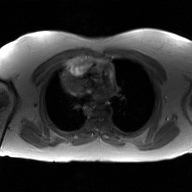
2D phase-contrast cine MRI of the ascending aorta, GAN super-resolution reconstruction.